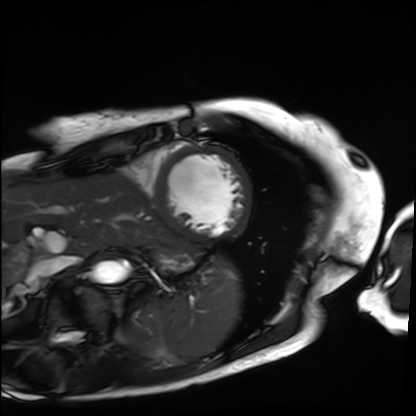
Cardiac MRI.
Subject group: patient.